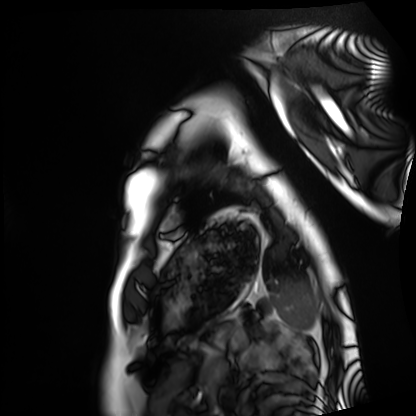
Cardiac MRI.
Subject group: healthy volunteer.